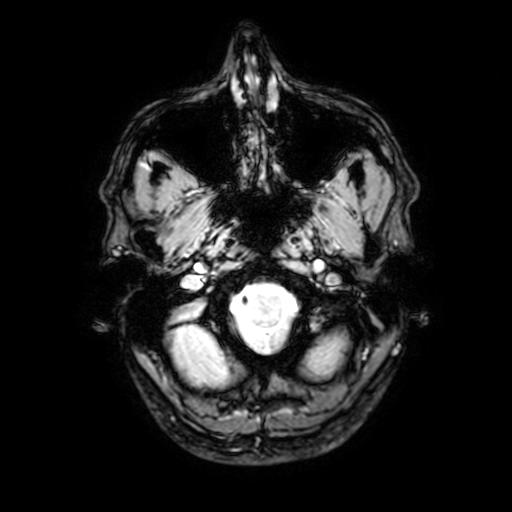
modality: 3 Tesla brain MRI | series: T2-weighted fast field echo with SENSE | study: ring-enhancing brain masses.